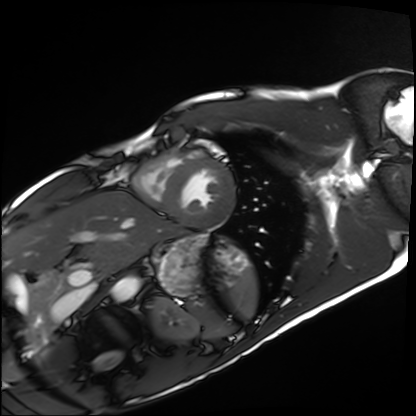
<record>
  <modality>cardiac MRI</modality>
  <cohort>healthy volunteer</cohort>
</record>